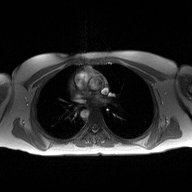
* modality: 2D phase-contrast cine MRI of the ascending aorta